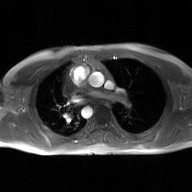
Summary:
2D phase-contrast cine MRI of the ascending aorta, GAN super-resolution reconstruction.